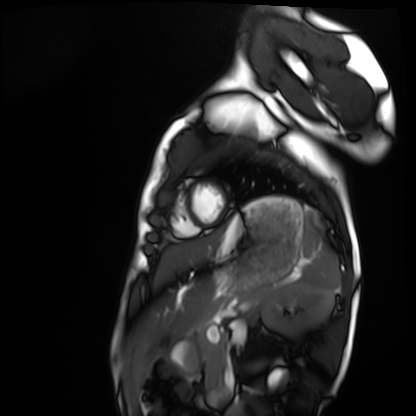
modality: cardiac MRI
cohort: healthy volunteer